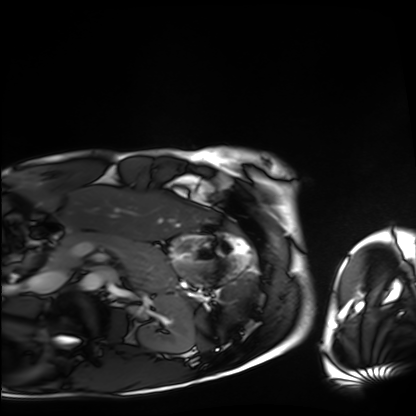
Summary: Cardiac MRI. Subject group: healthy volunteer.